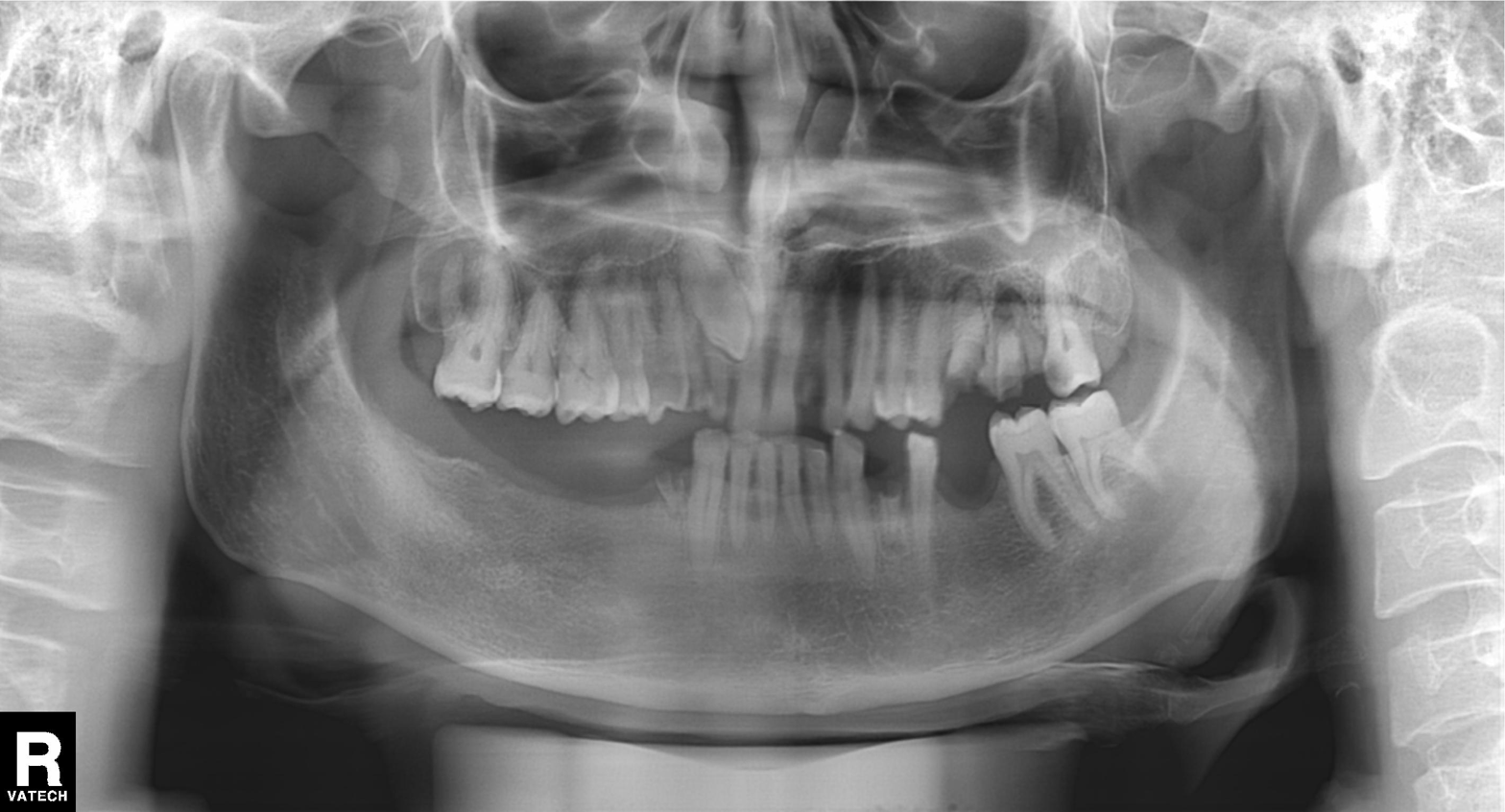
Panoramic dental radiograph (orthopantomogram). Finding: alveolar bone loss.